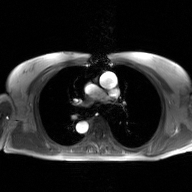
modality: 2D phase-contrast cine MRI of the ascending aorta, GAN super-resolution reconstruction.